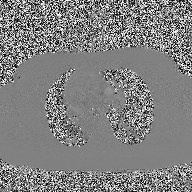
Case:
– modality — 2D phase-contrast cine MRI of the ascending aorta